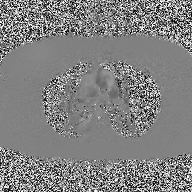
modality = 2D phase-contrast cine MRI of the ascending aorta.